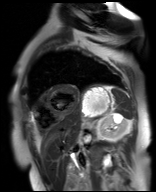
Clinical context: Cardiac MR image of the myocardium. Subject cohort: cardiac patient.